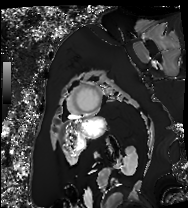
Cardiac MRI. Subject group: patient.